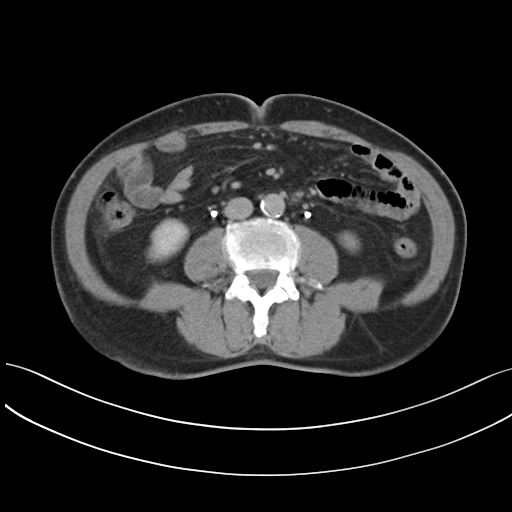
Summary:
Multiphase abdominal CT, liver, delayed phase. Patient: male, age 73. History: prior chemotherapy.